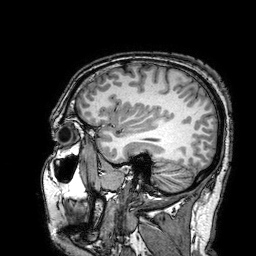
Case summary:
3 Tesla brain MRI. Study: ring-enhancing brain masses.